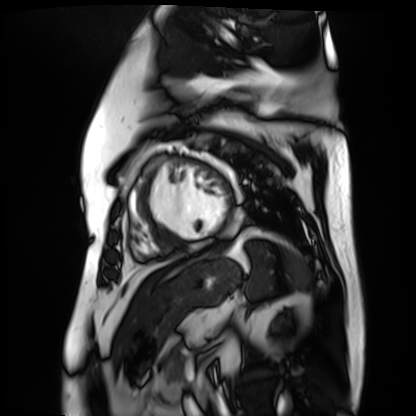
<study>
  <modality>cardiac MR image of the myocardium</modality>
  <cohort>cardiac patient</cohort>
</study>